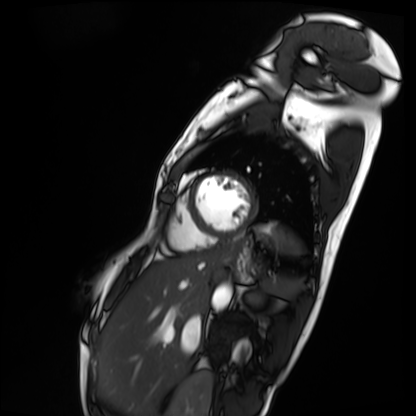
Q: What kind of scan is this?
A: Cardiac MRI.
Subject group: patient.